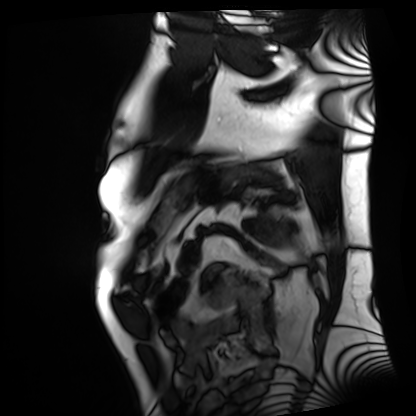
{"modality": "cardiac MRI", "cohort": "patient"}